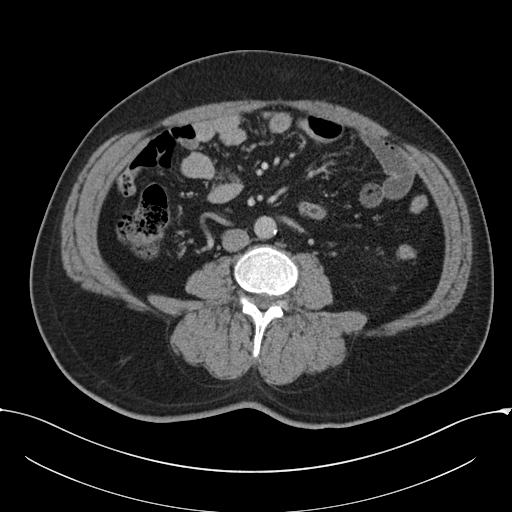
Case:
* modality: multiphase abdominal CT, liver, portal venous phase
* patient: male, age 52
* history: cirrhosis, viral hepatitis